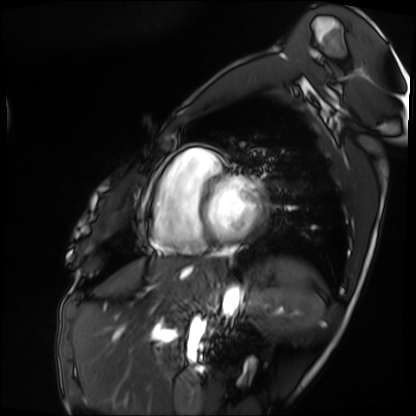
Q: What kind of scan is this?
A: Cardiac MRI.
Subject group: patient.